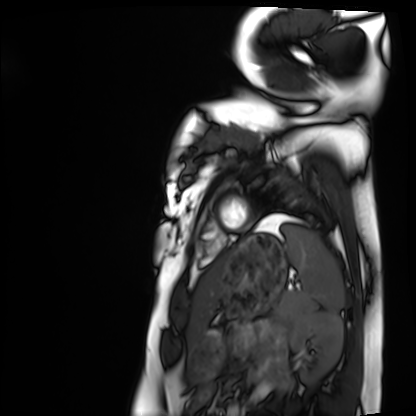
| field | value |
|---|---|
| modality | cardiac MRI |
| subject group | healthy volunteer |